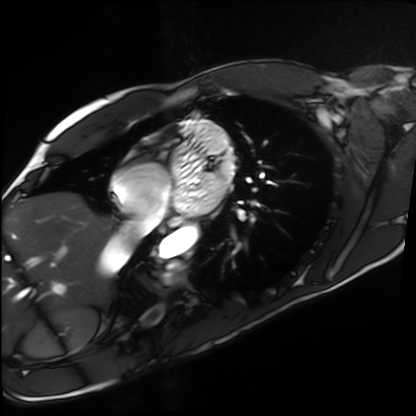
Cardiac MRI.
Subject group: healthy volunteer.